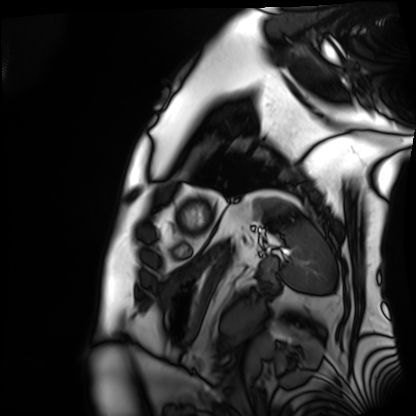
modality = cardiac MRI | subject group = patient.